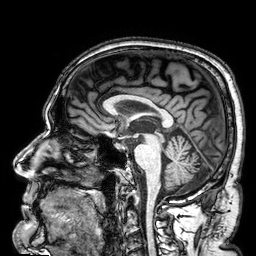
3 Tesla brain MRI. Series: 3D T1-weighted. Study: ring-enhancing brain masses.